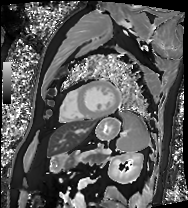
Summary: Cardiac MRI. Subject group: patient.